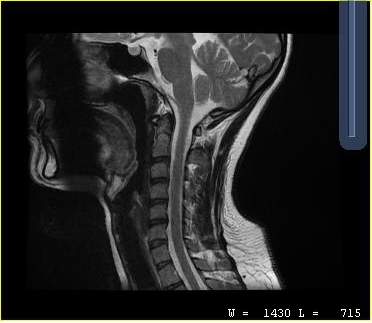
{
  "modality": {
    "type": "cervical spine MRI"
  },
  "study_topic": "cervical spondylosis"
}